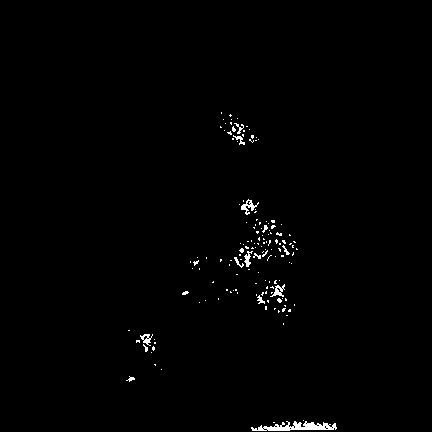
Clinical context:
3 Tesla brain MRI. Series: FLAIR VISTA. Study: ring-enhancing brain masses.